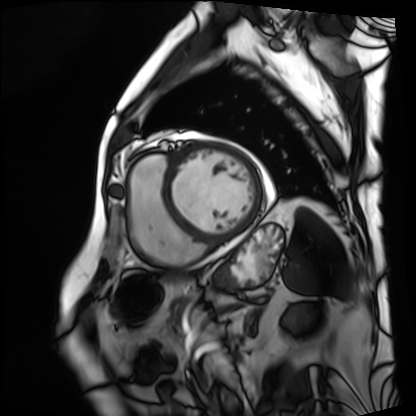
modality: cardiac MRI
subject group: patient